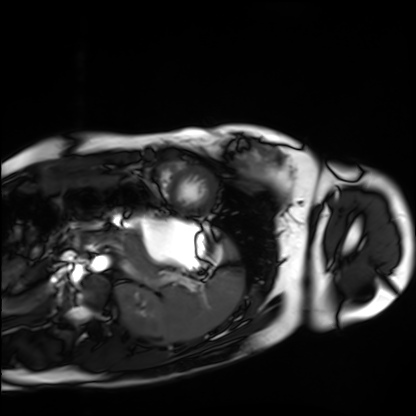
Q: What kind of scan is this?
A: Cardiac MRI.
Subject group: healthy volunteer.